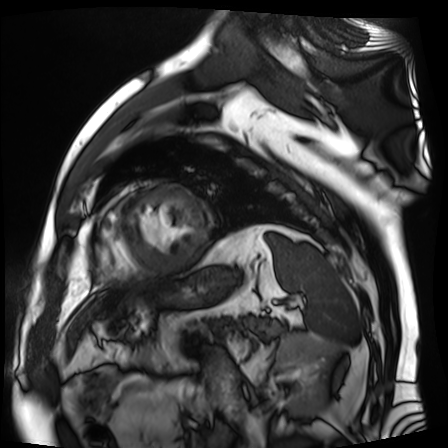
* modality — cardiac MR image of the myocardium
* subject cohort — cardiac patient